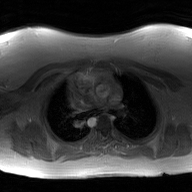
– modality · 2D phase-contrast cine MRI of the ascending aorta, GAN super-resolution reconstruction